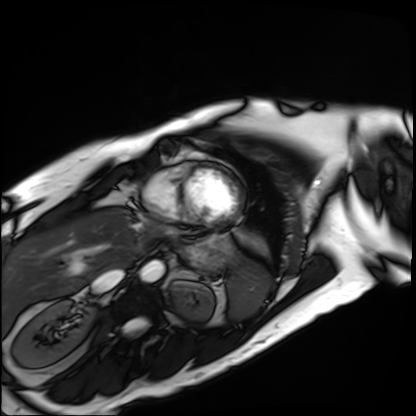
modality: cardiac MRI; subject group: patient.